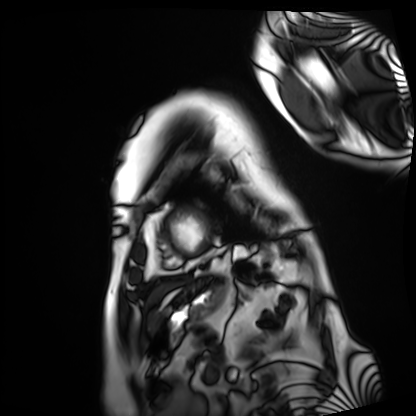
modality: cardiac MRI
subject group: patient